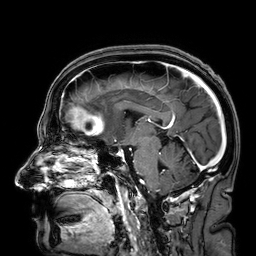
Case:
– modality · 3 Tesla brain MRI
– series · 3D T1-weighted
– study · ring-enhancing brain masses